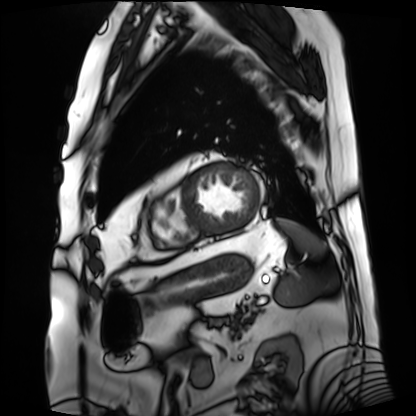
• modality · cardiac MRI
• subject group · patient